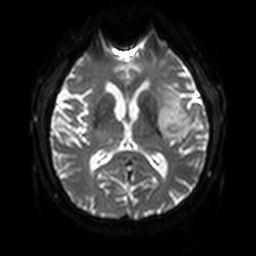
Case summary: 3 Tesla brain MRI. Series: diffusion-weighted imaging with SENSE (WIP). Study: ring-enhancing brain masses.